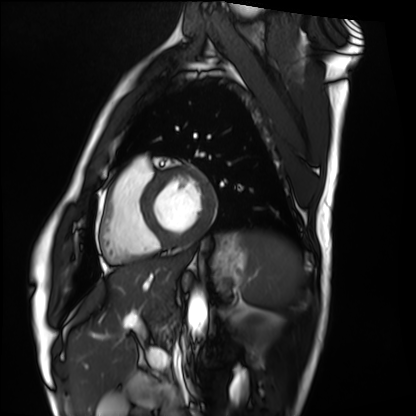
Summary: Cardiac MRI. Subject group: healthy volunteer.